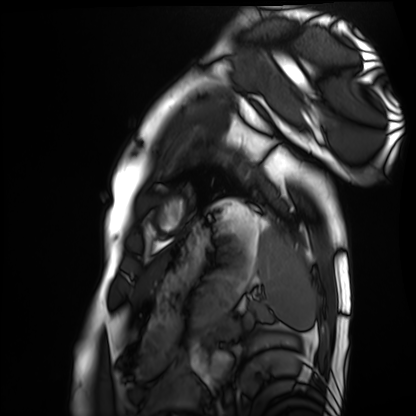
modality — cardiac MRI
subject group — healthy volunteer